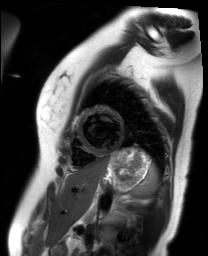
  modality: cardiac MR image of the myocardium
  cohort: healthy volunteer